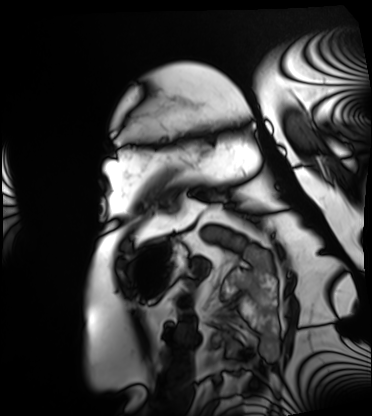
modality: cardiac MRI
subject group: patient